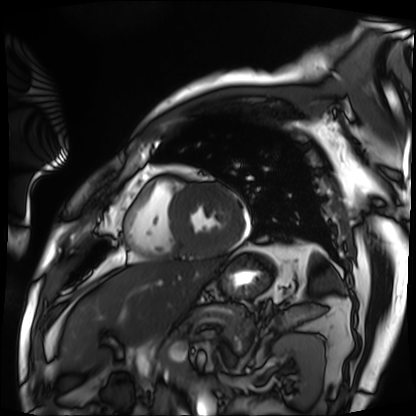
Q: What kind of scan is this?
A: Cardiac MRI.
Subject group: patient.